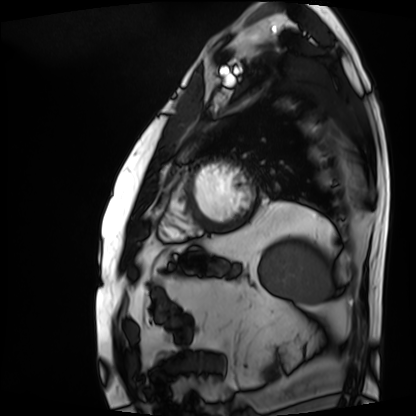
modality=cardiac MRI | subject group=patient.